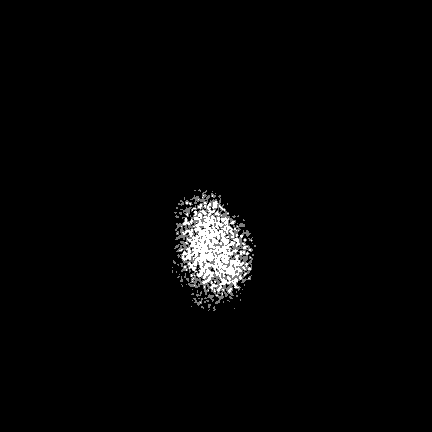
Case:
– modality: 3 Tesla brain MRI
– series: FLAIR VISTA with SENSE
– study: ring-enhancing brain masses